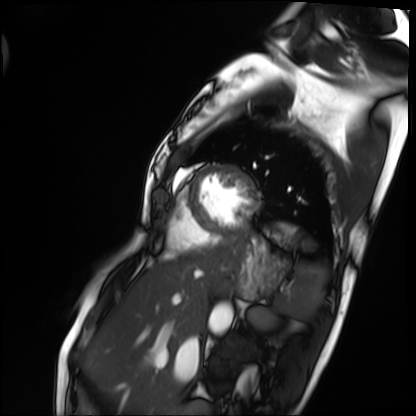
Cardiac MRI.
Subject group: patient.